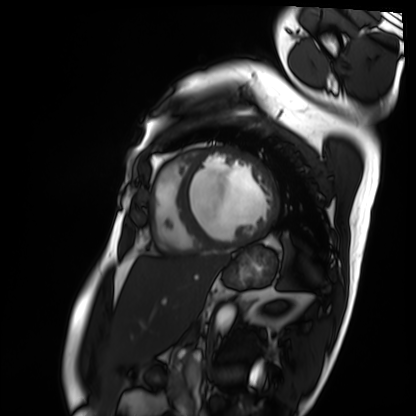
Cardiac MRI. Subject group: patient.